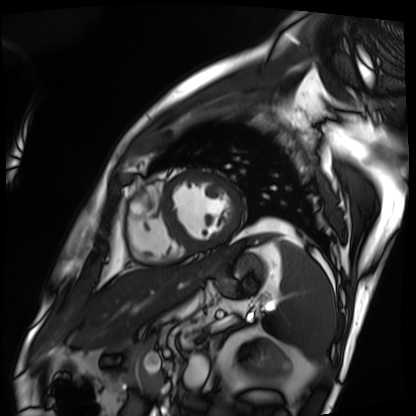
| field | value |
|---|---|
| modality | cardiac MRI |
| subject group | patient |